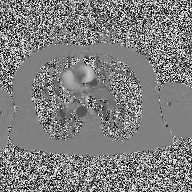
modality:
  type: 2D phase-contrast cine MRI
  region: ascending aorta
  reconstruction: high-resolution GRAPPA acquisition